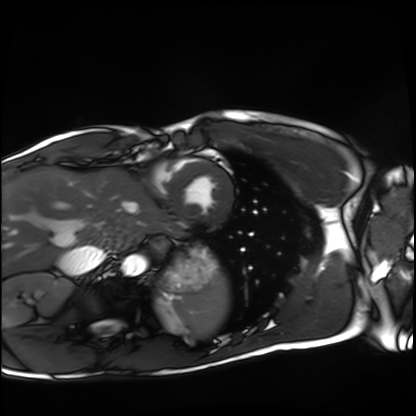
Clinical context:
Cardiac MRI. Subject group: healthy volunteer.